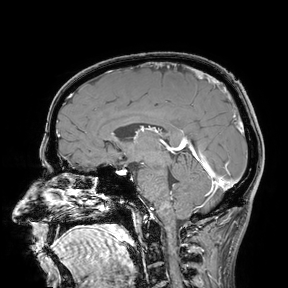
3 Tesla brain MRI. Study: ring-enhancing brain masses.